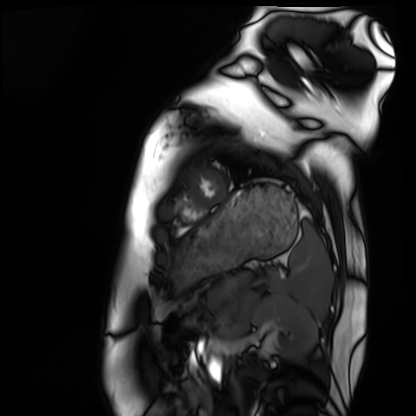
modality: cardiac MRI
cohort: healthy volunteer